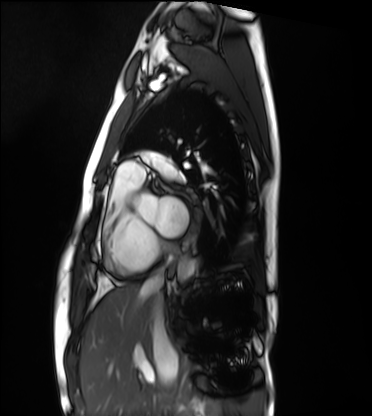
Cardiac MRI. Subject group: healthy volunteer.